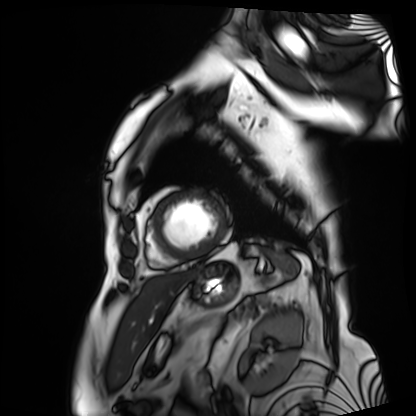
modality = cardiac MRI; subject group = patient.